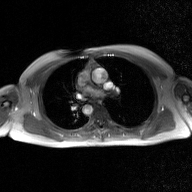
2D phase-contrast cine MRI of the ascending aorta, GAN super-resolution reconstruction.